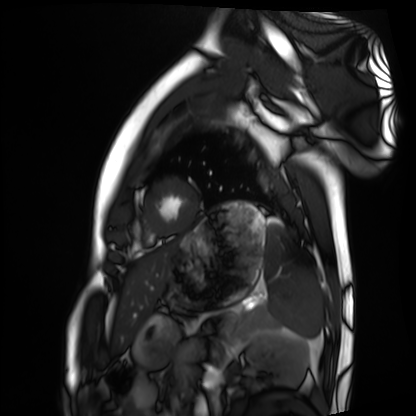
Case summary: Cardiac MRI. Subject group: healthy volunteer.